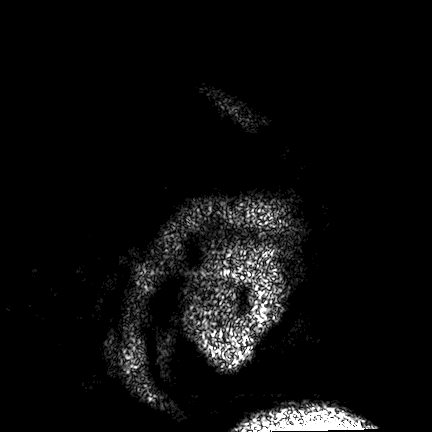
- modality: 3 Tesla brain MRI
- series: FLAIR VISTA
- study: ring-enhancing brain masses